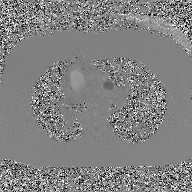
2D phase-contrast cine MRI of the ascending aorta, GAN super-resolution reconstruction.